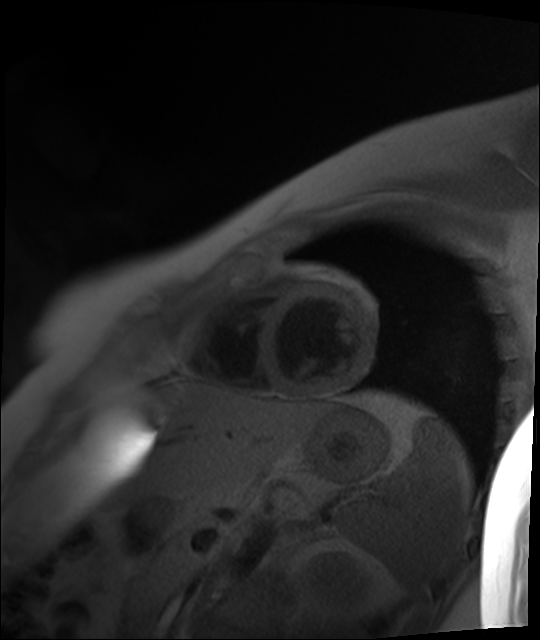
Cardiac MR image of the myocardium. Subject cohort: healthy volunteer.